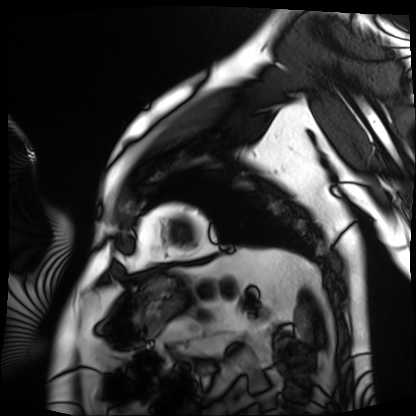
Q: What kind of scan is this?
A: Cardiac MRI.
Subject group: patient.